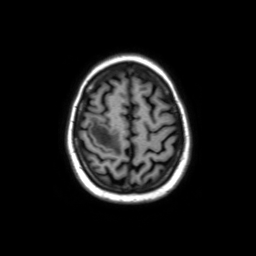
modality: 3 Tesla brain MRI; series: axial without contrast; study: ring-enhancing brain masses.